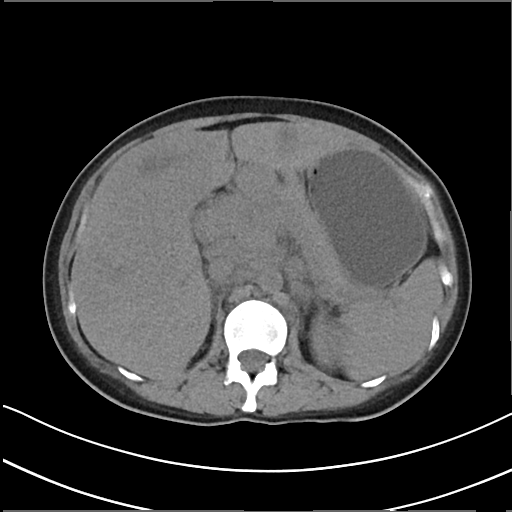
Case summary:
Multiphase abdominal CT, liver, non-contrast phase. Patient: female, age 32.